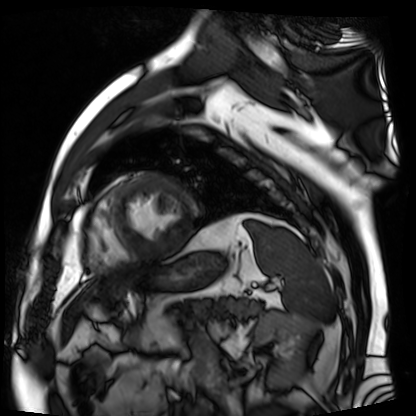
Summary: Cardiac MR image of the myocardium. Subject cohort: cardiac patient.